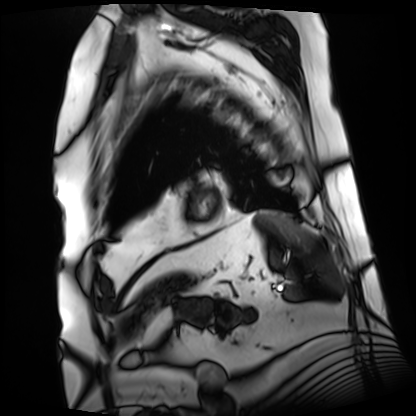
| field | value |
|---|---|
| modality | cardiac MRI |
| subject group | patient |